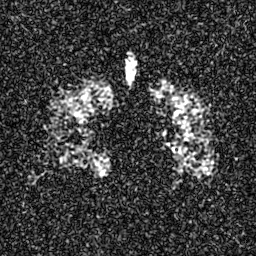
Q: What kind of scan is this?
A: Hyperpolarized 129Xe ventilation MRI of the lungs.
Q: SNR level?
A: 5 of 8 (the deposit holds this scan as its native image and as seven SNR-degraded versions).